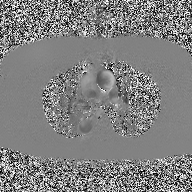
2D phase-contrast cine MRI of the ascending aorta, high-resolution GRAPPA acquisition.